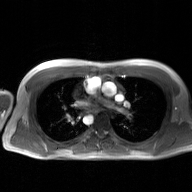
modality=2D phase-contrast cine MRI of the ascending aorta, GAN super-resolution reconstruction.